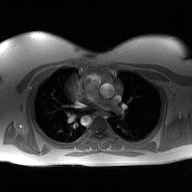
modality = 2D phase-contrast cine MRI of the ascending aorta